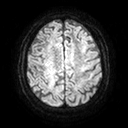
Clinical context:
3 Tesla brain MRI. Series: diffusion tensor imaging (medium iso). Study: ring-enhancing brain masses.